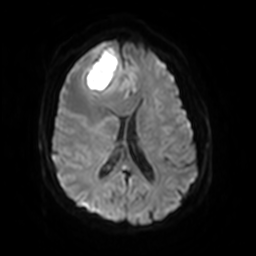
3 Tesla brain MRI. Series: diffusion-weighted imaging with SENSE (WIP). Study: ring-enhancing brain masses.